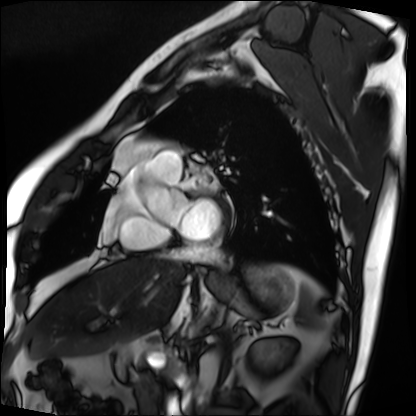
– modality — cardiac MRI
– subject group — patient